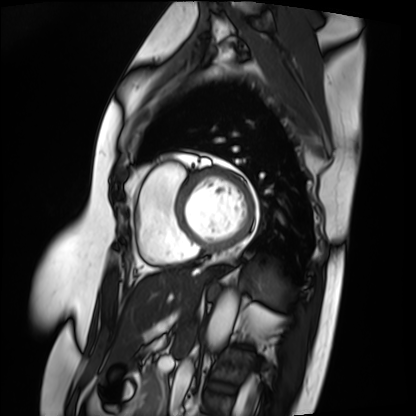
Summary:
Cardiac MRI. Subject group: patient.